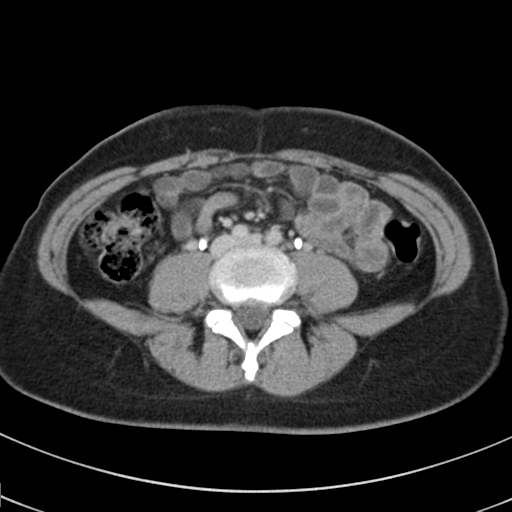
modality: multiphase abdominal CT, liver, delayed phase
patient: female, age 37